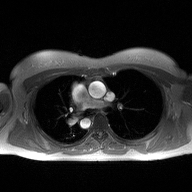
Summary: 2D phase-contrast cine MRI of the ascending aorta, high-resolution GRAPPA acquisition.